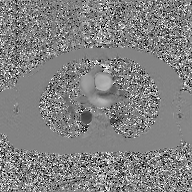
<scan>
  <modality>
    <type>2D phase-contrast cine MRI</type>
    <region>ascending aorta</region>
    <reconstruction>GAN super-resolution reconstruction</reconstruction>
  </modality>
</scan>